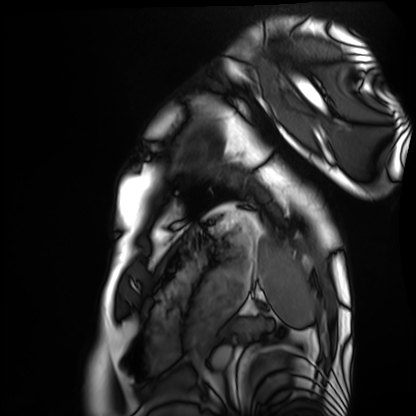
  modality: cardiac MRI
  cohort: healthy volunteer